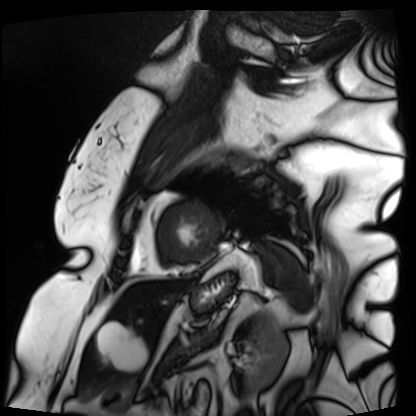
Case:
- modality — cardiac MRI
- subject group — patient